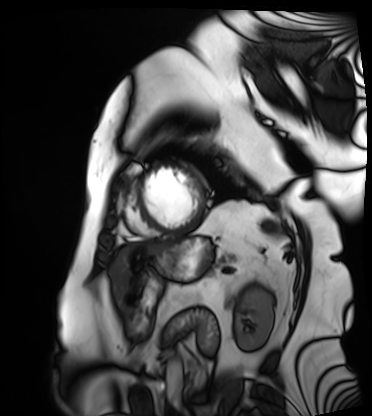
modality: cardiac MRI | subject group: patient.